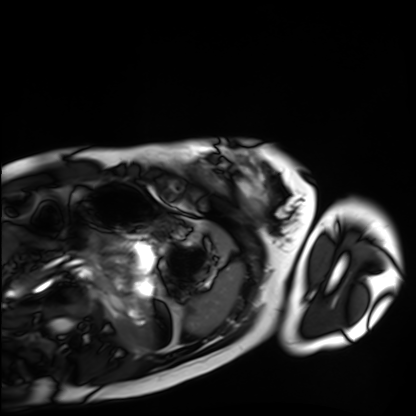
Cardiac MRI. Subject group: healthy volunteer.